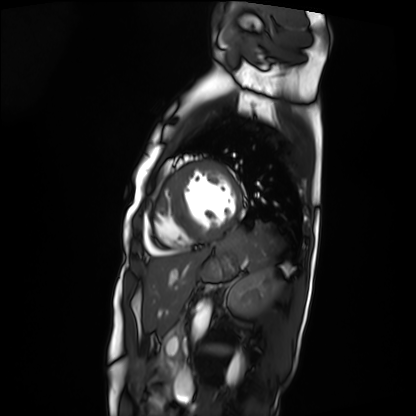
Cardiac MRI. Subject group: patient.